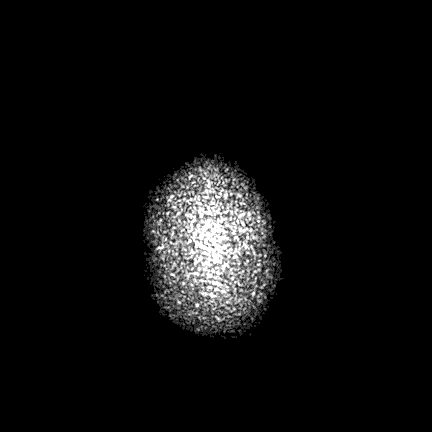
Q: What kind of scan is this?
A: 3 Tesla brain MRI.
Q: Series?
A: FLAIR VISTA with SENSE.
Study: ring-enhancing brain masses.